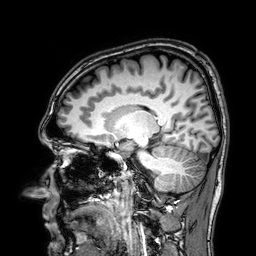
Q: What kind of scan is this?
A: 3 Tesla brain MRI.
Q: Series?
A: 3D T1-weighted.
Study: ring-enhancing brain masses.